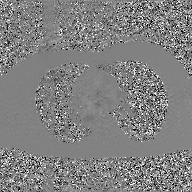
Q: What kind of scan is this?
A: 2D phase-contrast cine MRI of the ascending aorta, GAN super-resolution reconstruction.